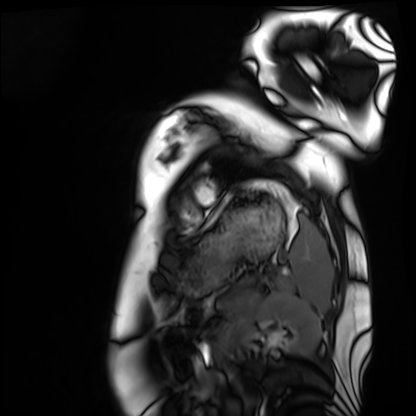
Cardiac MRI.
Subject group: healthy volunteer.